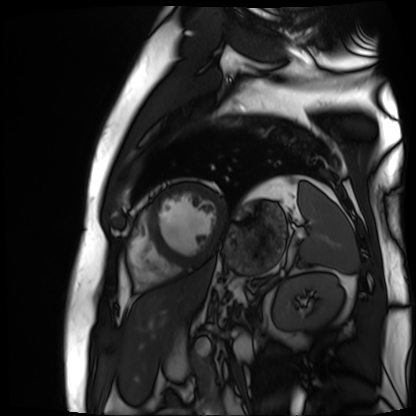
modality: cardiac MR image of the myocardium, subject cohort: cardiac patient.